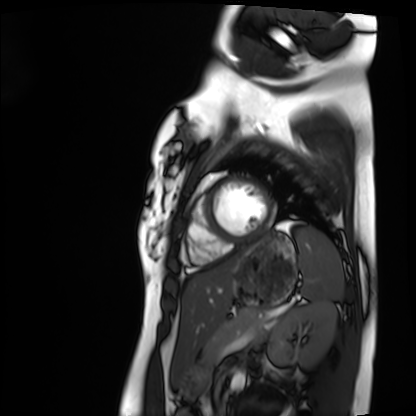
modality: cardiac MRI
subject group: healthy volunteer